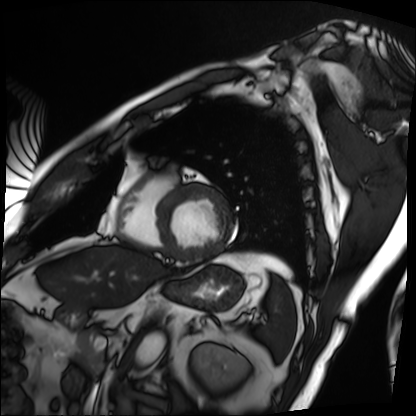
Cardiac MRI. Subject group: patient.